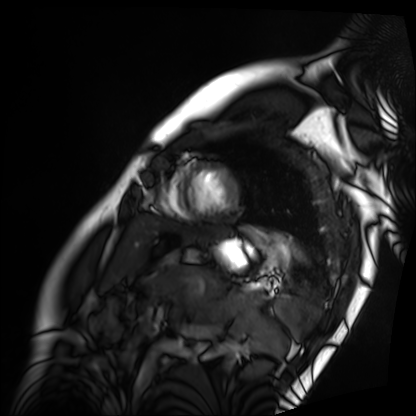
Case:
* modality · cardiac MRI
* subject group · patient